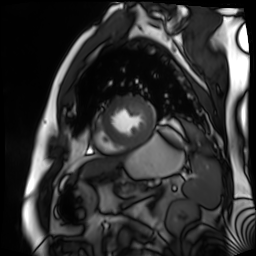
Summary: Cardiac MR image of the myocardium. Subject cohort: cardiac patient.